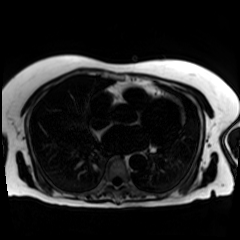
Chemical-shift-encoded cardiac MRI.